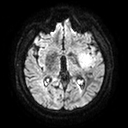
{"modality": {"type": "brain MRI", "field_strength": "3T"}, "series": "diffusion tensor imaging (medium iso)", "study_topic": "ring-enhancing brain masses"}